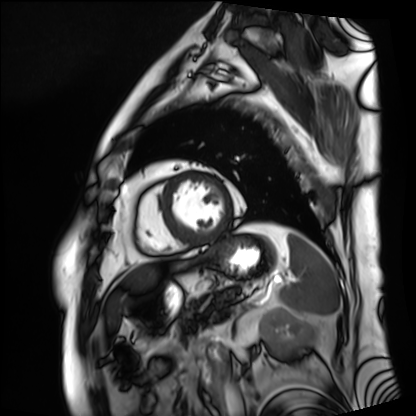
Cardiac MRI.
Subject group: patient.